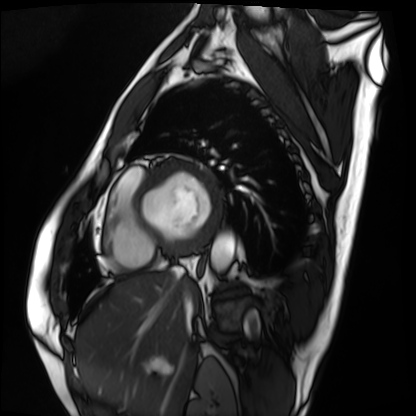
Case:
• modality: cardiac MRI
• subject group: patient